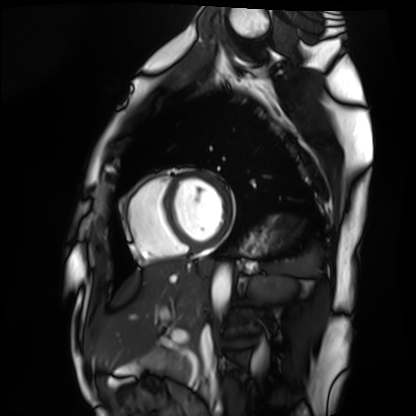
Cardiac MRI. Subject group: healthy volunteer.